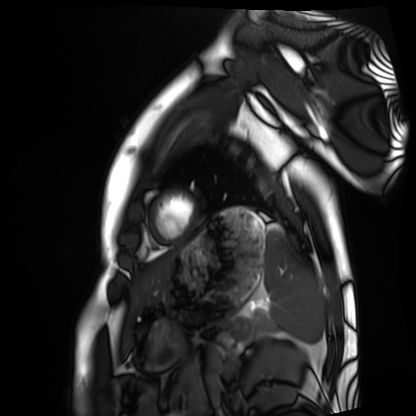
Summary: Cardiac MRI. Subject group: healthy volunteer.